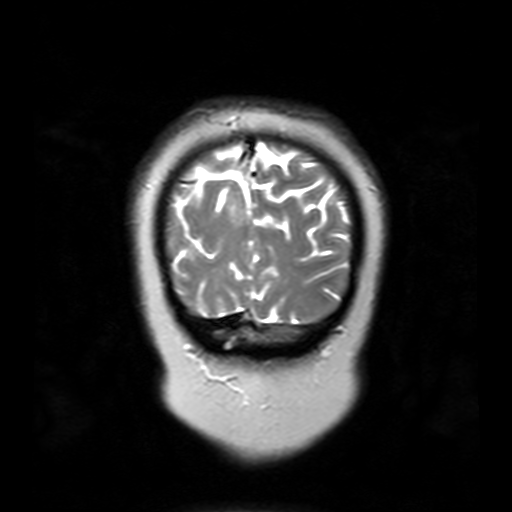
<record>
<modality>
  <type>brain MRI</type>
  <field_strength>3T</field_strength>
</modality>
<series>T2-weighted turbo spin echo with SENSE</series>
<study_topic>ring-enhancing brain masses</study_topic>
</record>